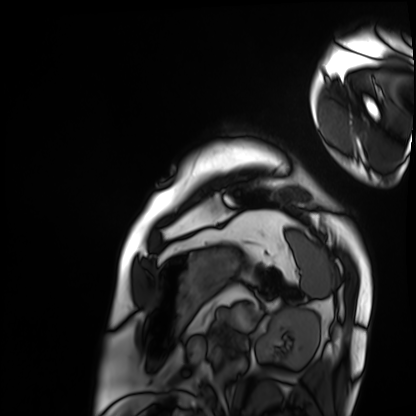
Cardiac MRI.
Subject group: patient.